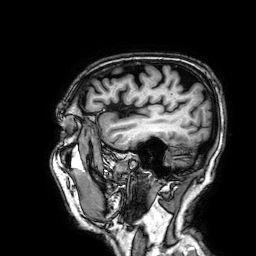
  modality:
    type: brain MRI
    field_strength: 3T
  series: 3D T1-weighted
  study_topic: ring-enhancing brain masses